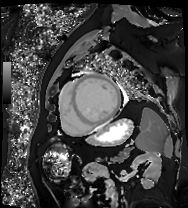
Case summary:
Cardiac MRI. Subject group: patient.